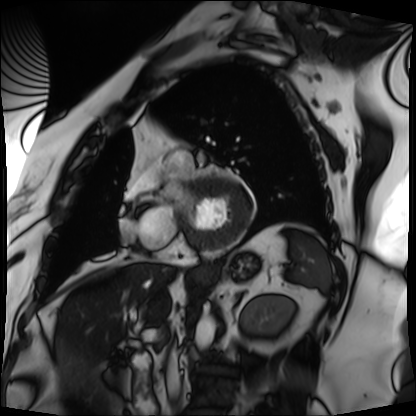
Clinical context:
Cardiac MRI. Subject group: patient.